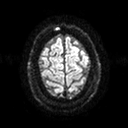
3 Tesla brain MRI. Series: diffusion tensor imaging (medium iso). Study: ring-enhancing brain masses.